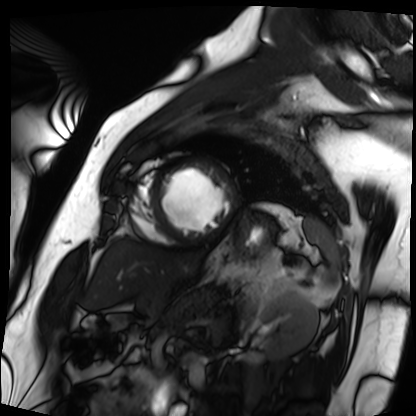
Case:
– modality — cardiac MRI
– subject group — patient